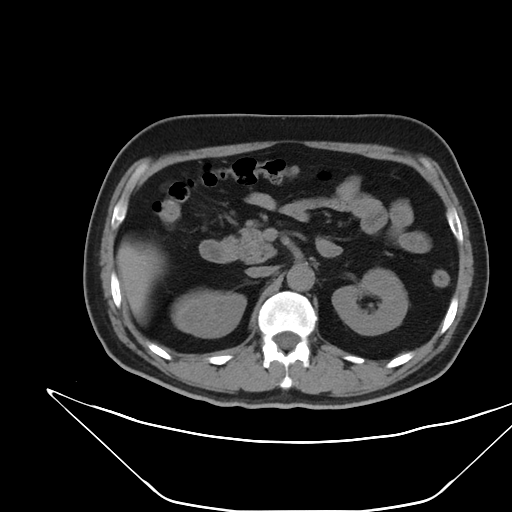
Multiphase abdominal CT, liver, non-contrast phase. Patient: male, age 52.